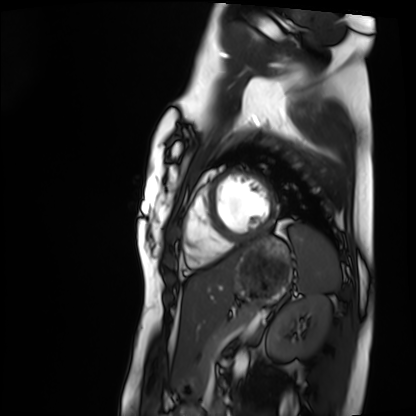
Summary: Cardiac MRI. Subject group: healthy volunteer.